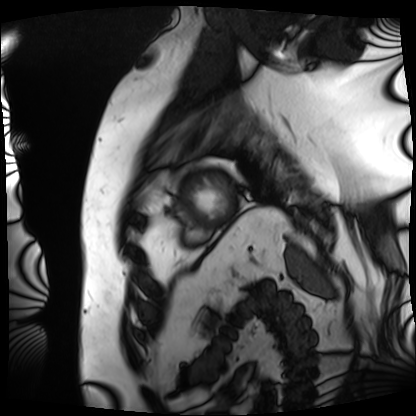
Case summary: Cardiac MRI. Subject group: patient.